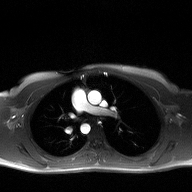
Clinical context: 2D phase-contrast cine MRI of the ascending aorta, high-resolution GRAPPA acquisition.